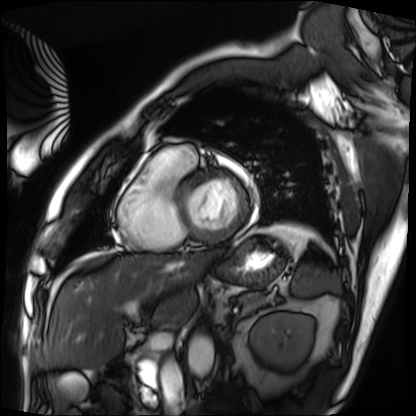
Cardiac MRI.
Subject group: patient.